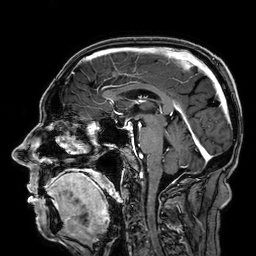
modality = 3 Tesla brain MRI | series = 3D T1-weighted | study = ring-enhancing brain masses.